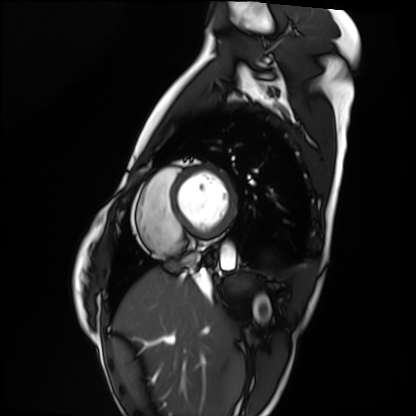
Cardiac MRI.
Subject group: healthy volunteer.